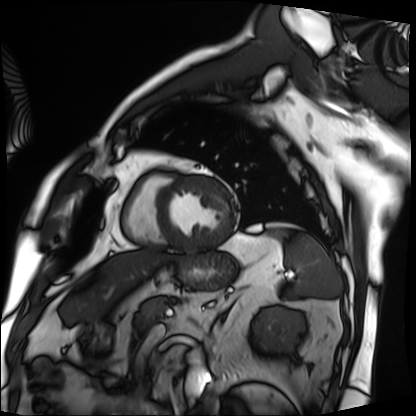
modality = cardiac MRI, subject group = patient.